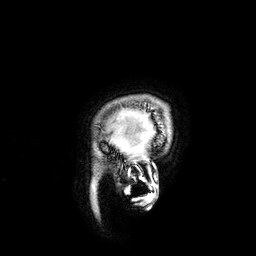
Summary:
3 Tesla brain MRI. Series: 3D T1-weighted. Study: ring-enhancing brain masses.